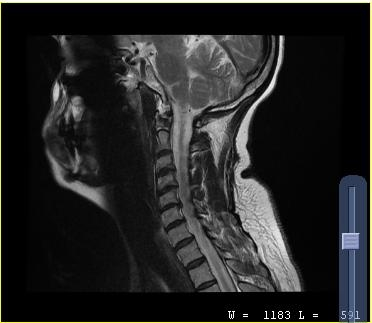
* modality · MRI of the cervical spine
* study · cervical spondylosis